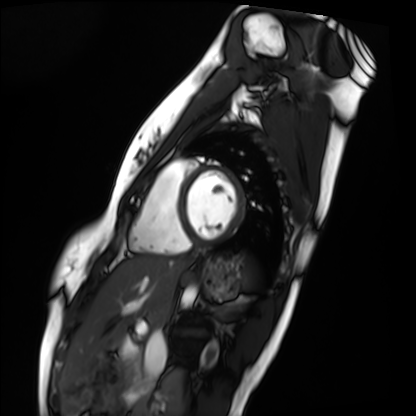
Cardiac MRI. Subject group: healthy volunteer.